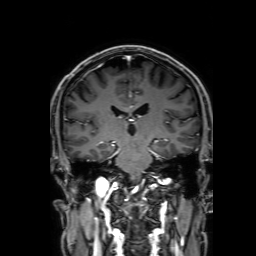
Clinical context:
3 Tesla brain MRI. Series: 3D T1-weighted with SENSE. Study: ring-enhancing brain masses.